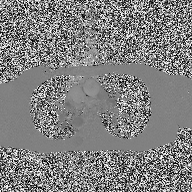
Case summary: 2D phase-contrast cine MRI of the ascending aorta, high-resolution GRAPPA acquisition.